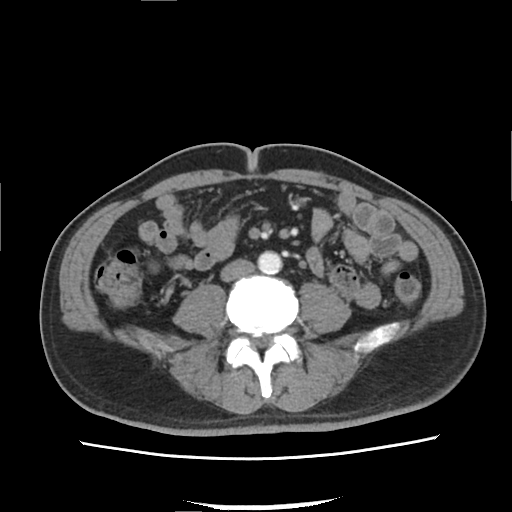
modality:
  type: multiphase abdominal CT
  region: liver
  phase: arterial
patient:
  sex: male
  age: 52
history:
  - viral hepatitis